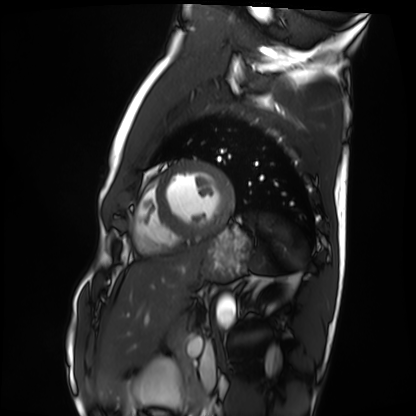
Cardiac MRI.
Subject group: healthy volunteer.